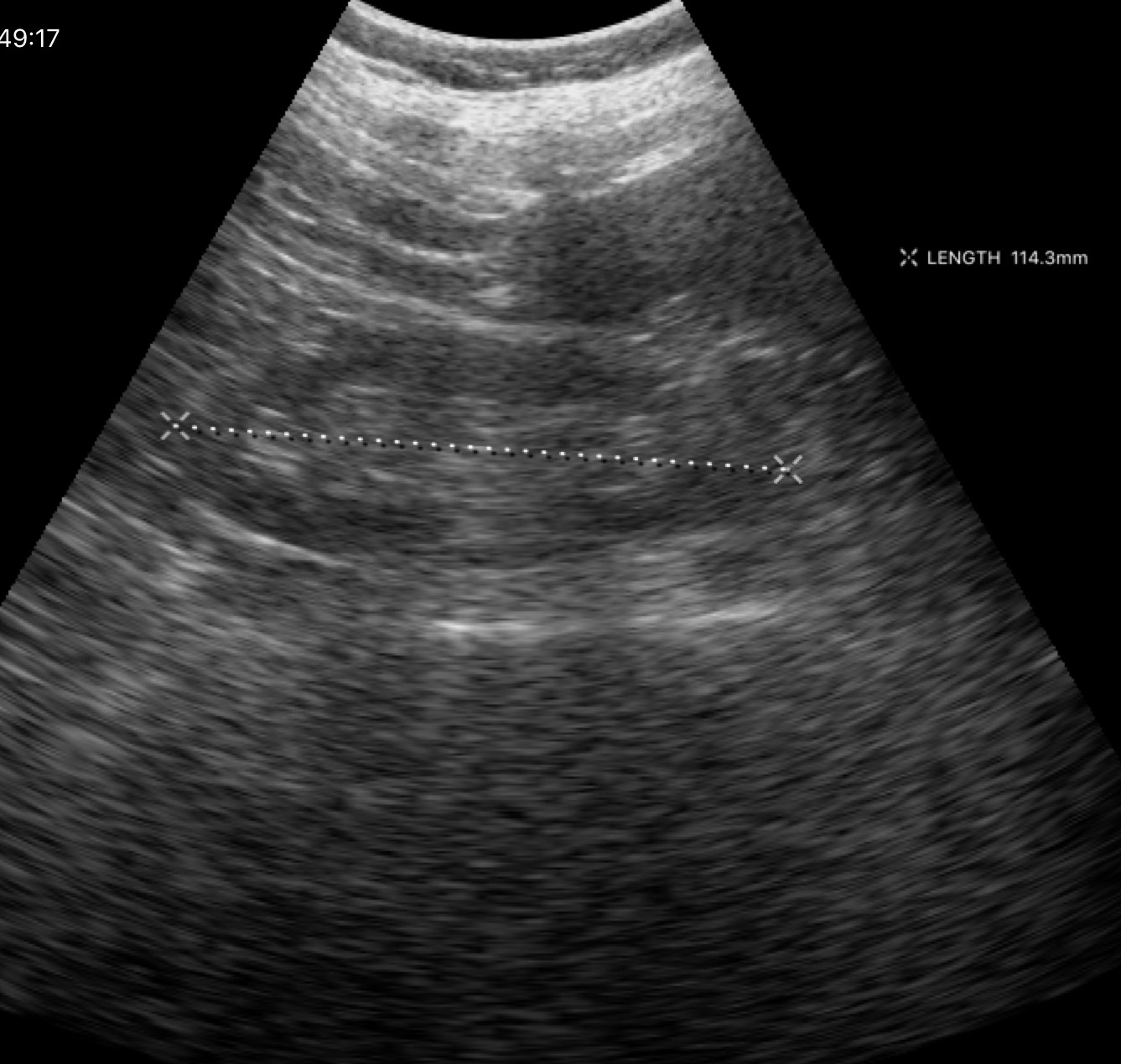
Genitourinary ultrasound.